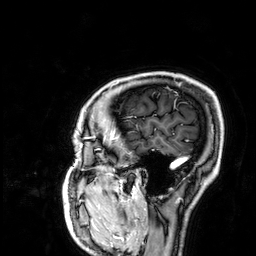
3 Tesla brain MRI. Series: 3D T1-weighted. Study: ring-enhancing brain masses.